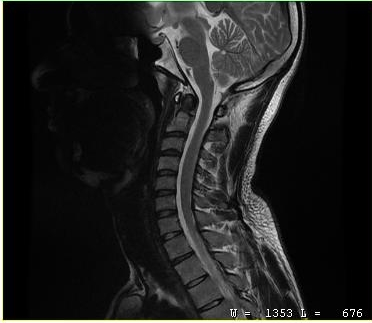
modality: MRI of the cervical spine; study: cervical spondylosis.